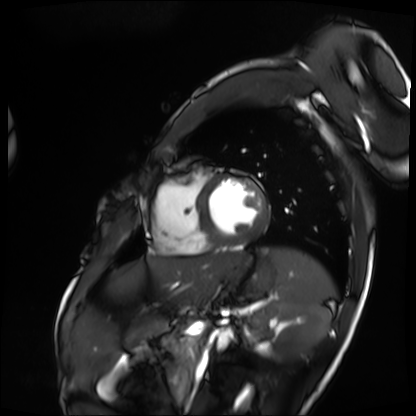
Clinical context: Cardiac MRI. Subject group: patient.